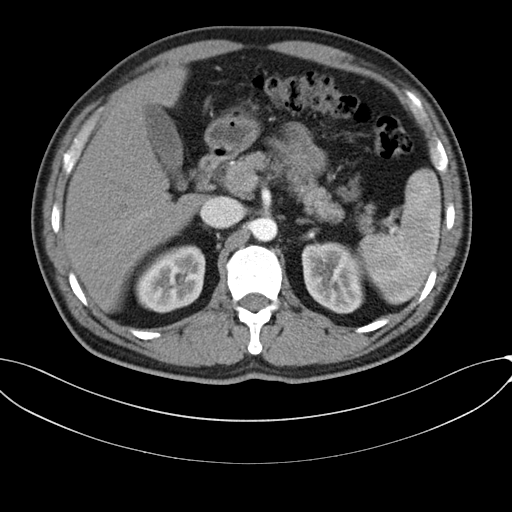
Multiphase abdominal CT, liver, arterial phase. Patient: male, age 46.